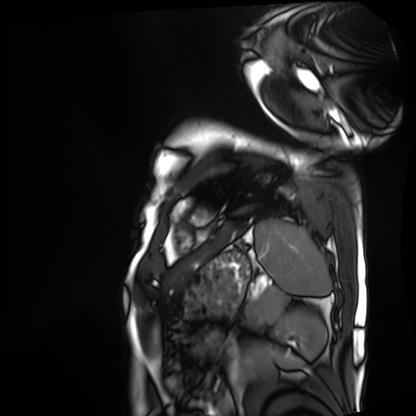
Cardiac MRI. Subject group: patient.